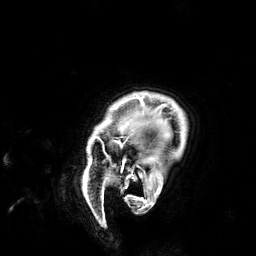
Case:
– modality: 3 Tesla brain MRI
– series: 3D T1-weighted
– study: ring-enhancing brain masses